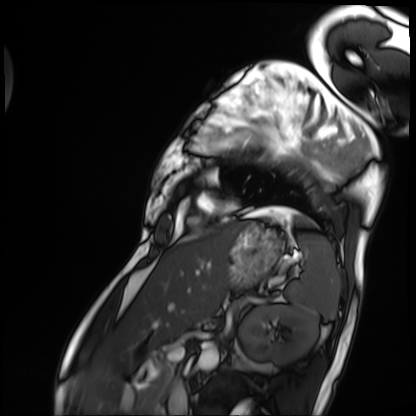
Cardiac MRI. Subject group: patient.